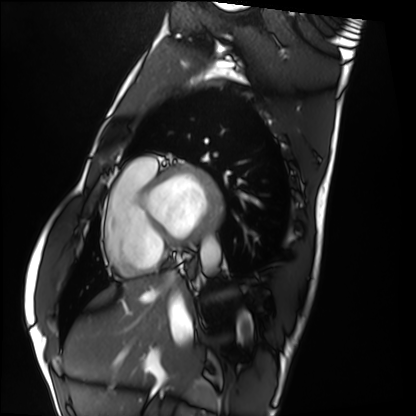
Clinical context:
Cardiac MRI. Subject group: healthy volunteer.